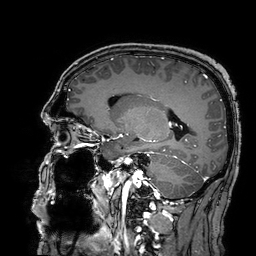
modality=3 Tesla brain MRI
series=3D T1-weighted turbo field echo with SENSE
study=ring-enhancing brain masses